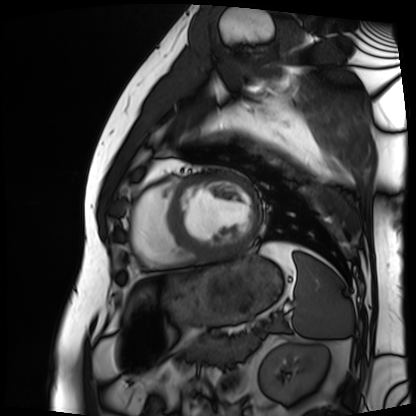
Summary:
Cardiac MRI. Subject group: patient.